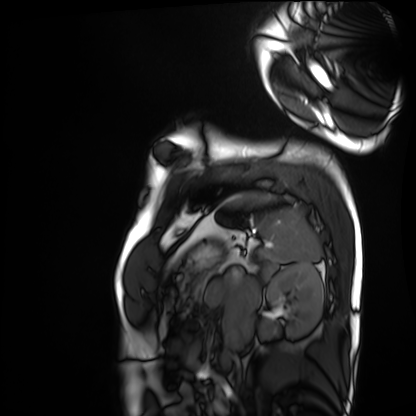
Q: What kind of scan is this?
A: Cardiac MRI.
Subject group: healthy volunteer.